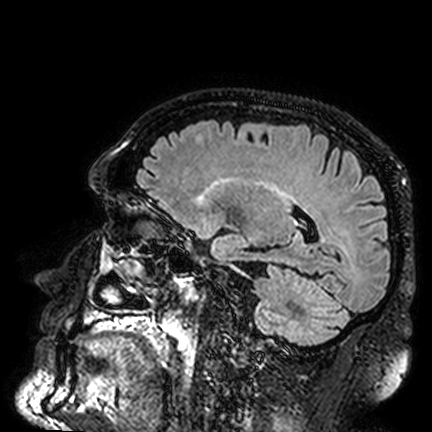
| field | value |
|---|---|
| modality | 3 Tesla brain MRI |
| series | FLAIR VISTA |
| study | ring-enhancing brain masses |